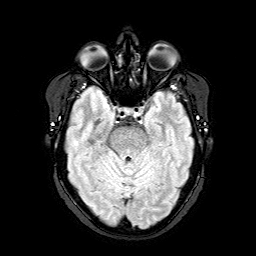
3 Tesla brain MRI.
Series: FLAIR with SPAIR.
Study: ring-enhancing brain masses.